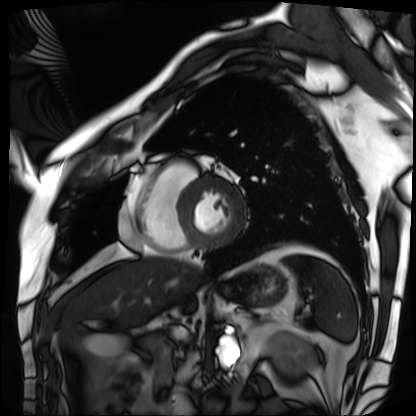
Cardiac MRI. Subject group: patient.